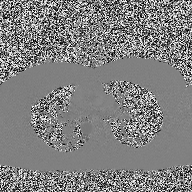
2D phase-contrast cine MRI of the ascending aorta, high-resolution GRAPPA acquisition.